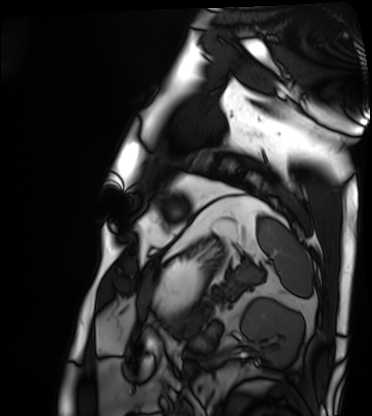
* modality: cardiac MRI
* subject group: patient